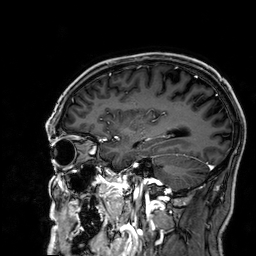
modality = 3 Tesla brain MRI | series = 3D T1-weighted | study = ring-enhancing brain masses.